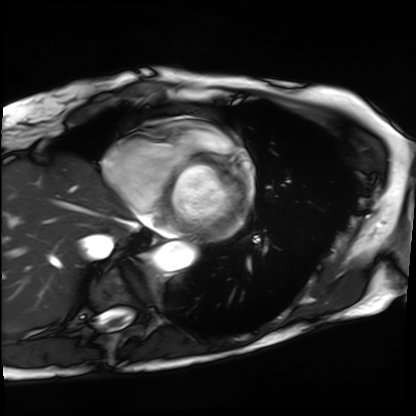
Cardiac MRI. Subject group: patient.